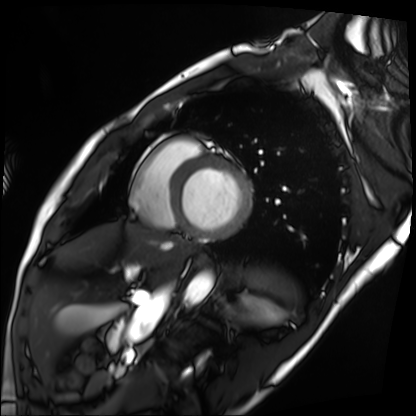
| field | value |
|---|---|
| modality | cardiac MRI |
| subject group | patient |